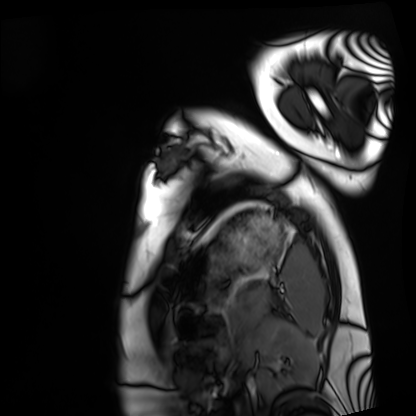
Q: What kind of scan is this?
A: Cardiac MRI.
Subject group: healthy volunteer.